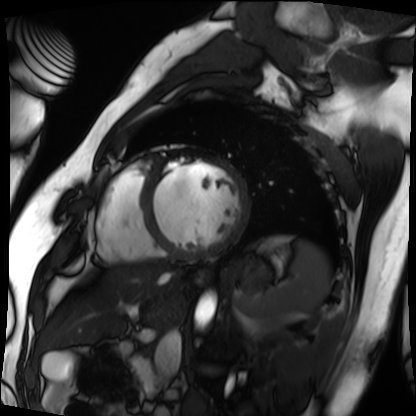
Q: What kind of scan is this?
A: Cardiac MRI.
Subject group: patient.